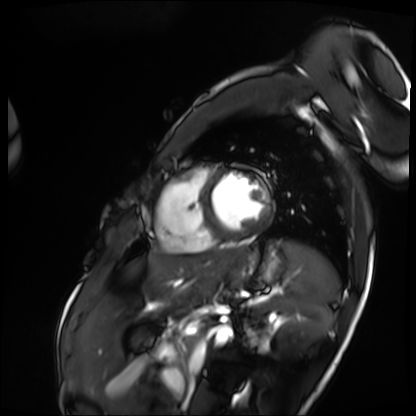
Cardiac MRI.
Subject group: patient.